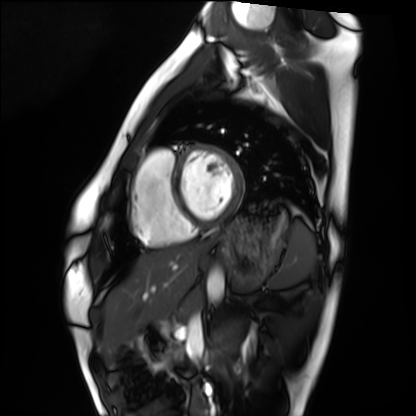
Cardiac MRI.
Subject group: healthy volunteer.